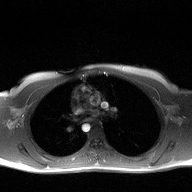
modality: 2D phase-contrast cine MRI of the ascending aorta.